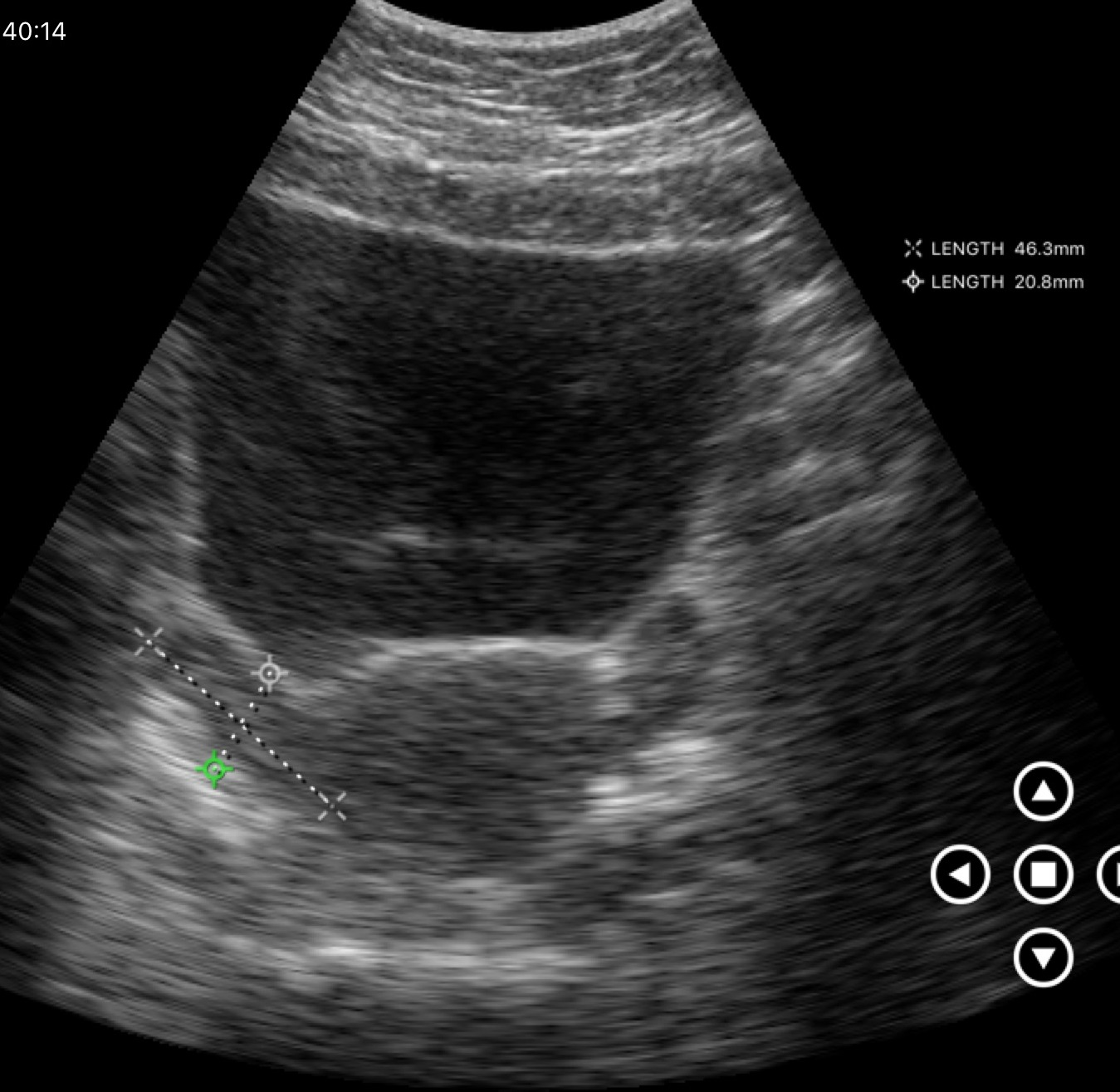
<case>
<modality>
  <type>genitourinary ultrasound</type>
</modality>
</case>